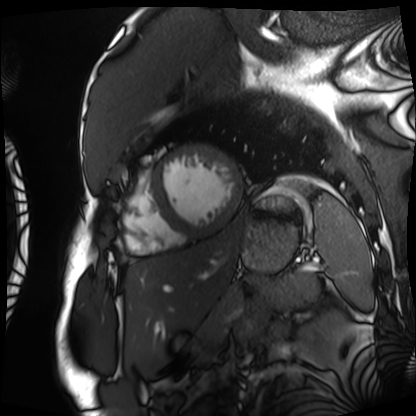
Cardiac MRI.
Subject group: patient.